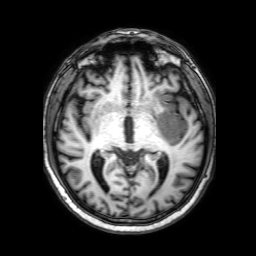
modality = 3 Tesla brain MRI; series = 3D T1-weighted with SENSE; study = ring-enhancing brain masses.